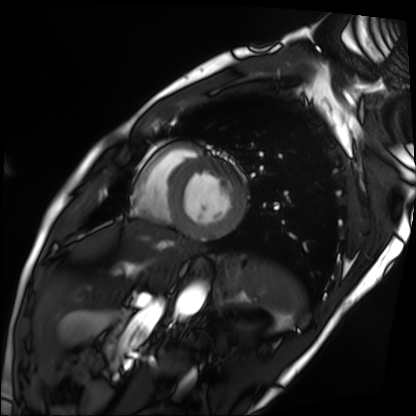
{"modality": "cardiac MRI", "cohort": "patient"}